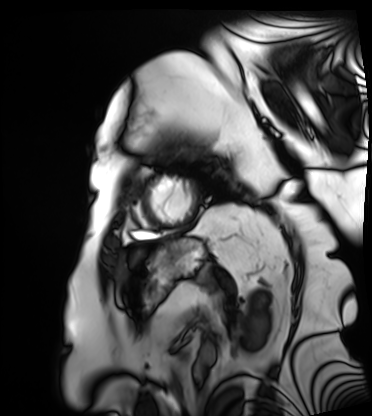
- modality: cardiac MRI
- subject group: patient